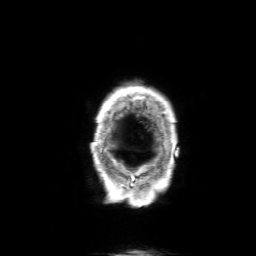
modality: 3 Tesla brain MRI
series: 3D T1-weighted with SENSE
study: ring-enhancing brain masses